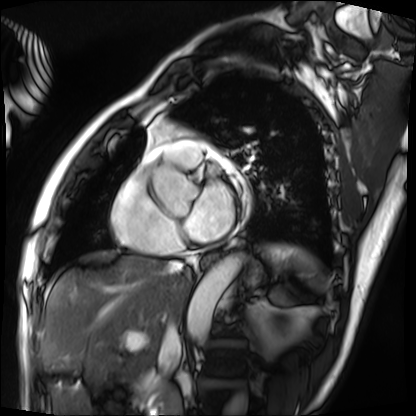
modality = cardiac MRI | subject group = patient.